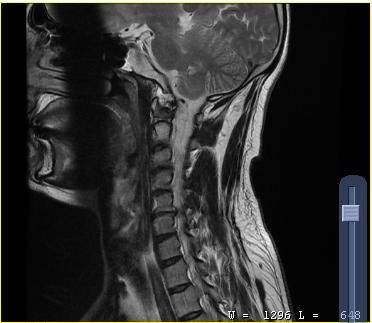
Summary:
MRI of the cervical spine. Study: cervical spondylosis.